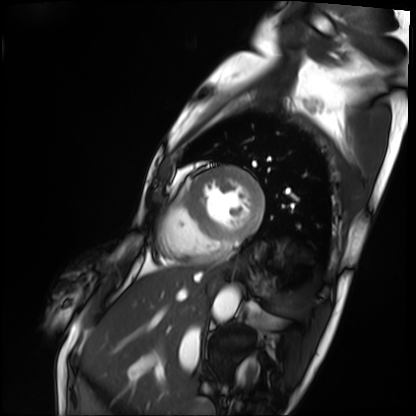
Cardiac MRI.
Subject group: patient.